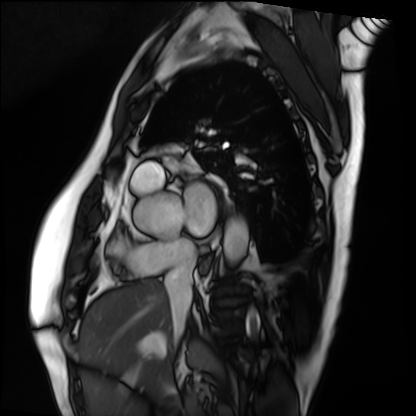
• modality: cardiac MRI
• subject group: patient